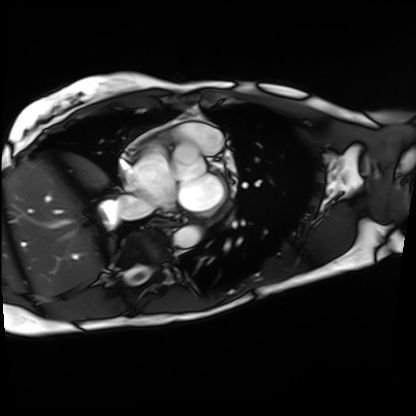
* modality — cardiac MRI
* subject group — patient